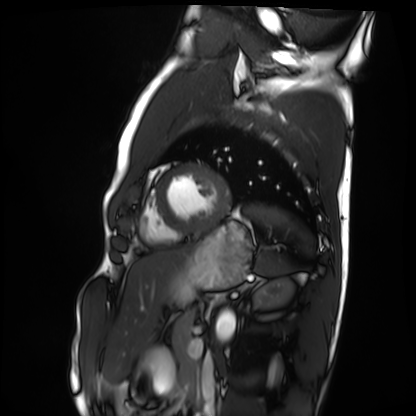
modality — cardiac MRI | subject group — healthy volunteer.